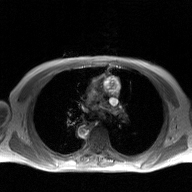
2D phase-contrast cine MRI of the ascending aorta, GAN super-resolution reconstruction.